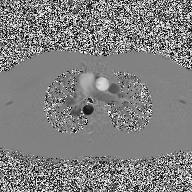
Case summary:
2D phase-contrast cine MRI of the ascending aorta, high-resolution GRAPPA acquisition.